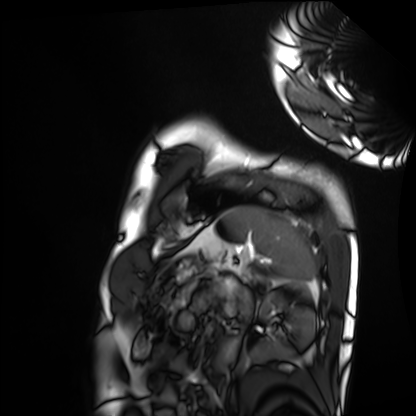
modality=cardiac MRI
subject group=healthy volunteer